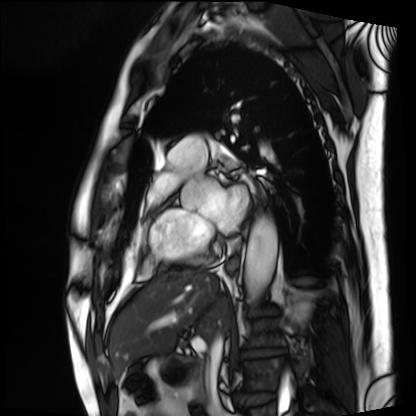
Summary: Cardiac MRI. Subject group: patient.